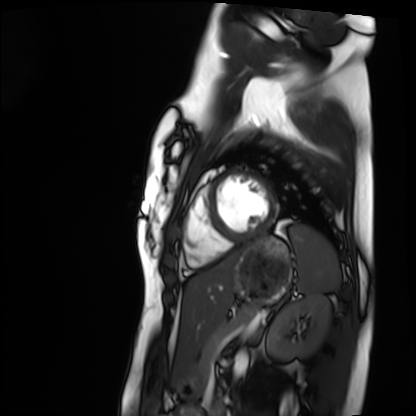
{
  "modality": "cardiac MRI",
  "cohort": "healthy volunteer"
}